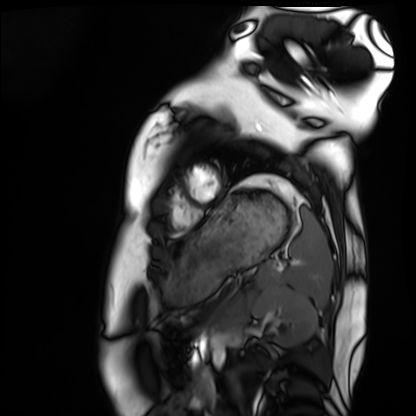
  modality: cardiac MRI
  cohort: healthy volunteer